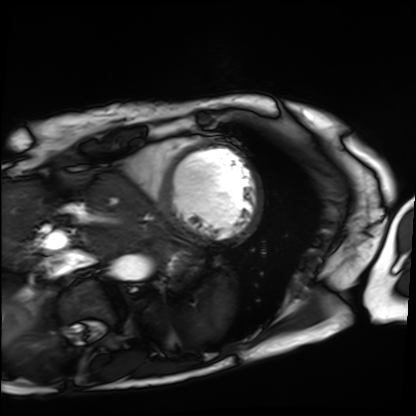
modality: cardiac MRI, subject group: patient.